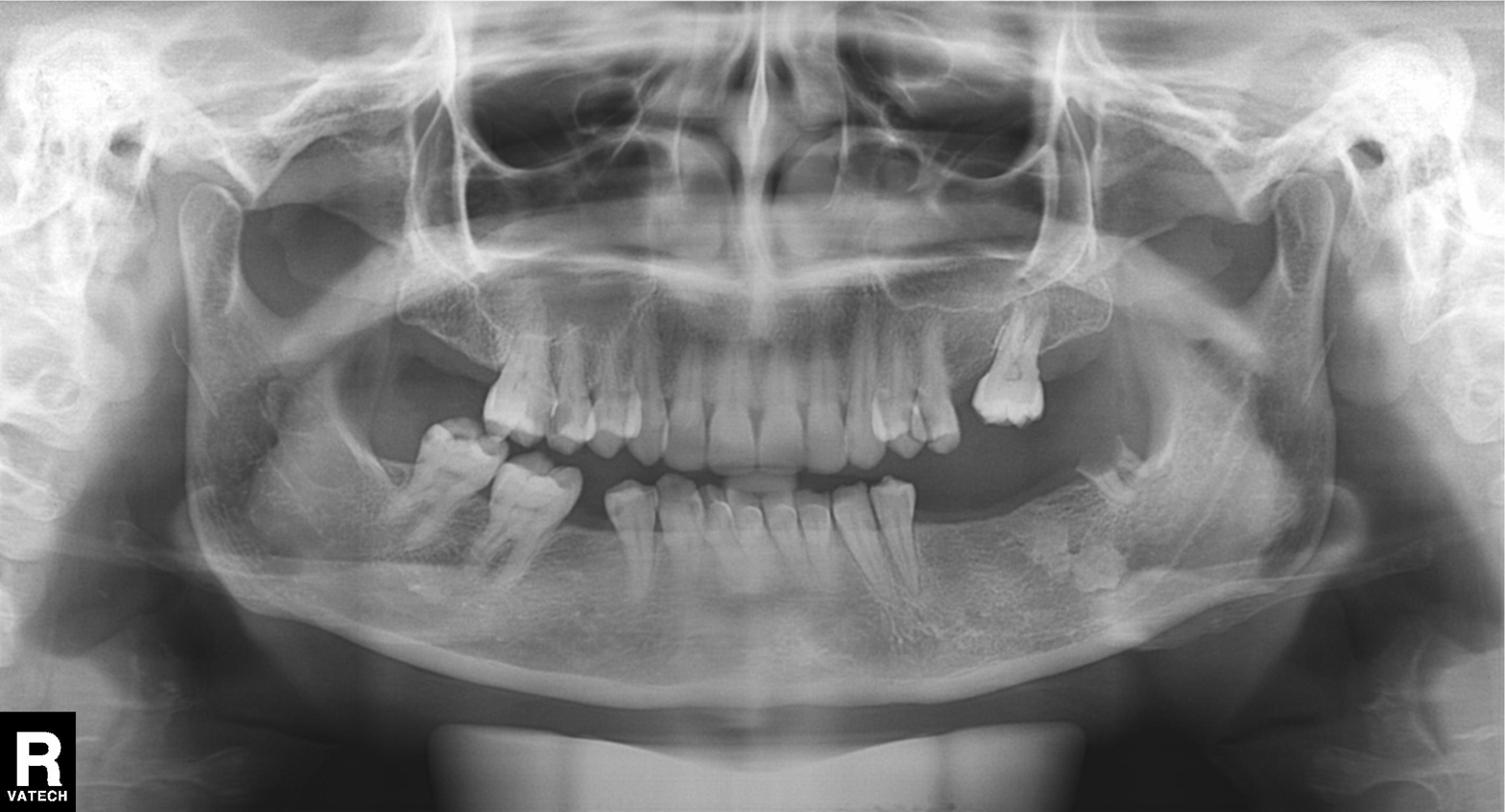
* modality · panoramic dental radiograph (orthopantomogram)
* finding · tooth impaction